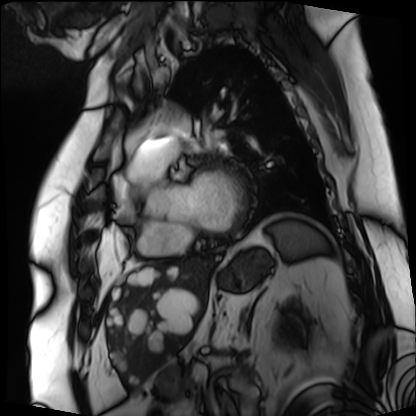
Summary: Cardiac MRI. Subject group: patient.